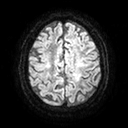
<scan>
  <modality>
    <type>brain MRI</type>
    <field_strength>3T</field_strength>
  </modality>
  <series>diffusion tensor imaging (medium iso)</series>
  <study_topic>ring-enhancing brain masses</study_topic>
</scan>